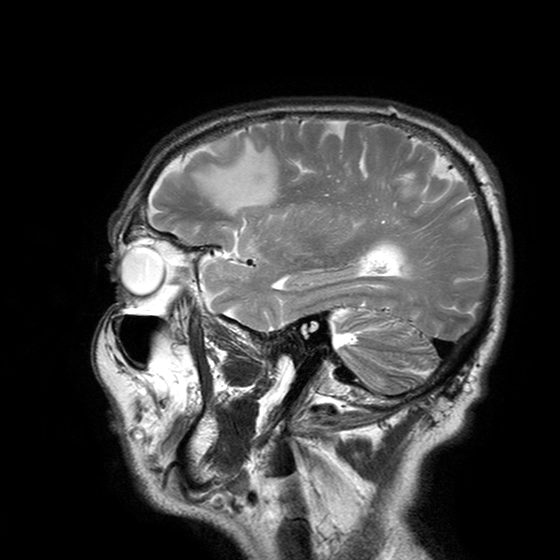
{"modality": {"type": "brain MRI", "field_strength": "3T"}, "series": "T2-weighted turbo spin echo with SENSE", "study_topic": "ring-enhancing brain masses"}